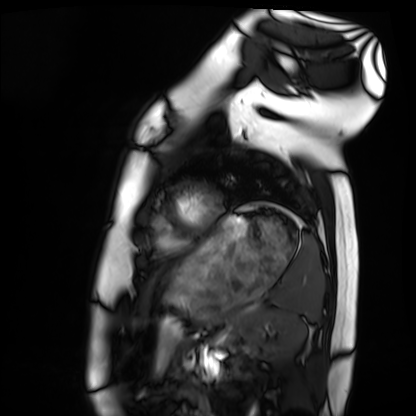
modality: cardiac MRI | subject group: healthy volunteer.